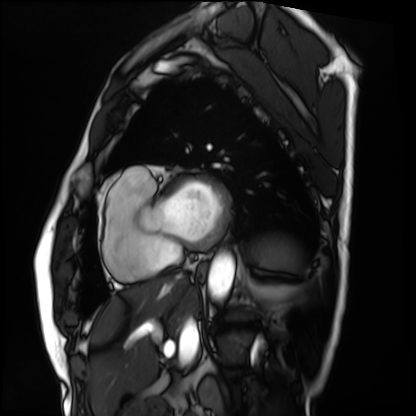
– modality: cardiac MRI
– subject group: patient